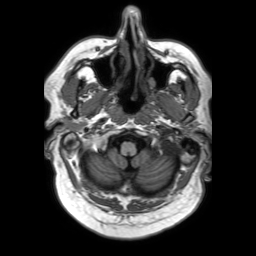
Summary: 3 Tesla brain MRI. Series: 3D T1-weighted TFE with SENSE. Study: ring-enhancing brain masses.